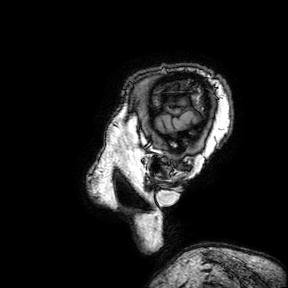
Q: What kind of scan is this?
A: 3 Tesla brain MRI.
Q: Series?
A: 3D T1-weighted turbo field echo with SENSE.
Study: ring-enhancing brain masses.